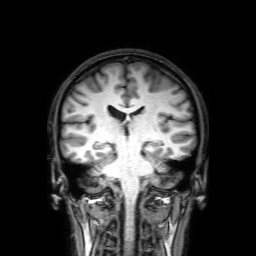
Summary: 3 Tesla brain MRI. Series: 3D T1-weighted with SENSE. Study: ring-enhancing brain masses.